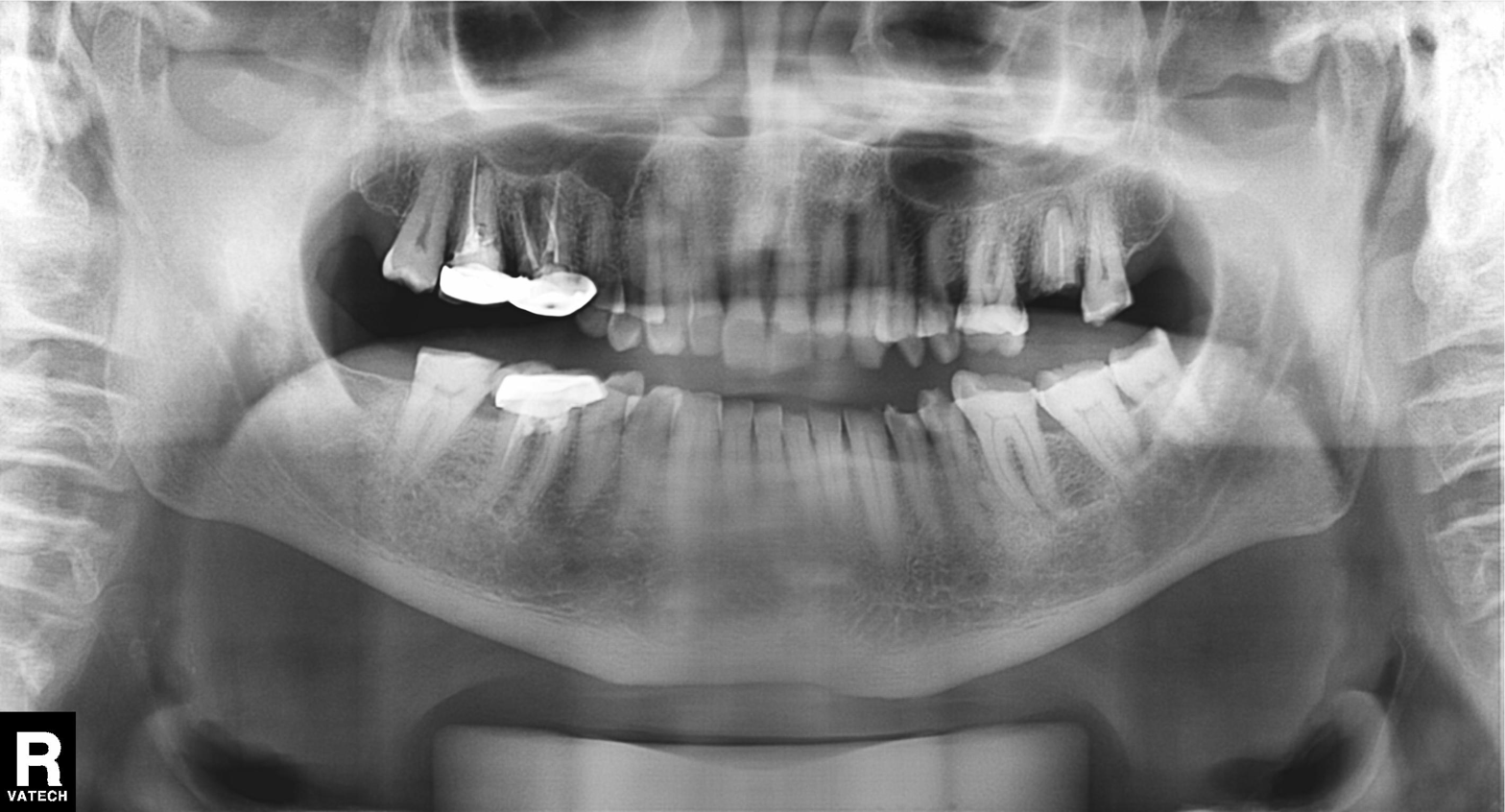
{
  "modality": "panoramic dental radiograph (orthopantomogram)",
  "finding": "tooth impaction"
}